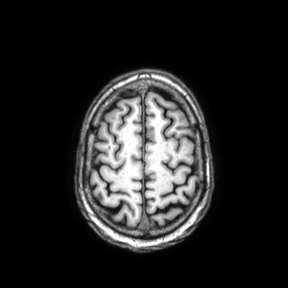
  modality:
    type: brain MRI
    field_strength: 3T
  series: axial
  study_topic: ring-enhancing brain masses